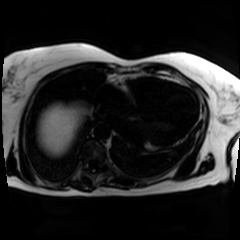
{"modality": "chemical-shift-encoded cardiac MRI"}